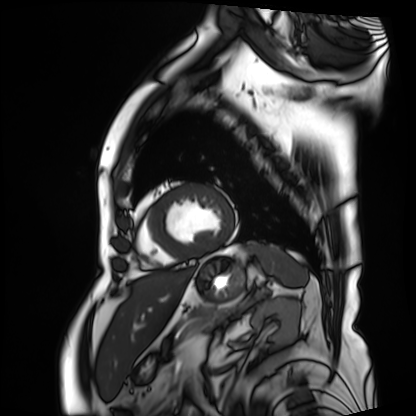
<scan>
  <modality>cardiac MRI</modality>
  <cohort>patient</cohort>
</scan>